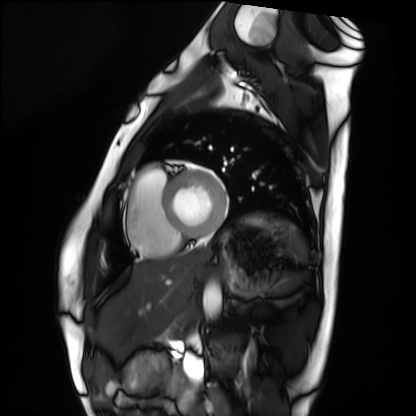
Q: What kind of scan is this?
A: Cardiac MRI.
Subject group: healthy volunteer.